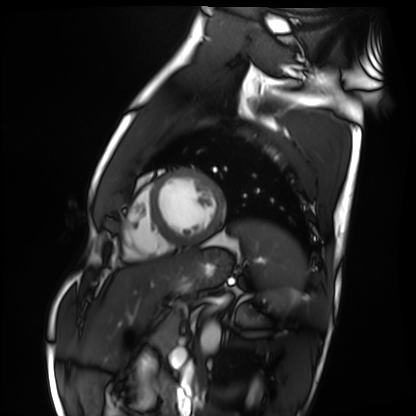
{"modality": "cardiac MRI", "cohort": "healthy volunteer"}